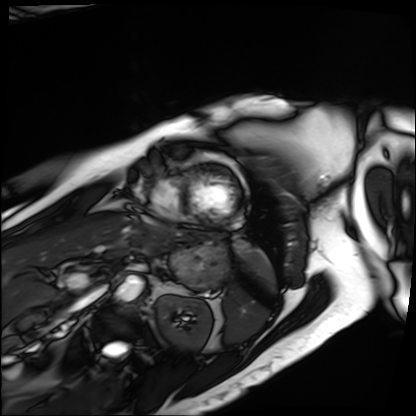
Cardiac MRI.
Subject group: patient.